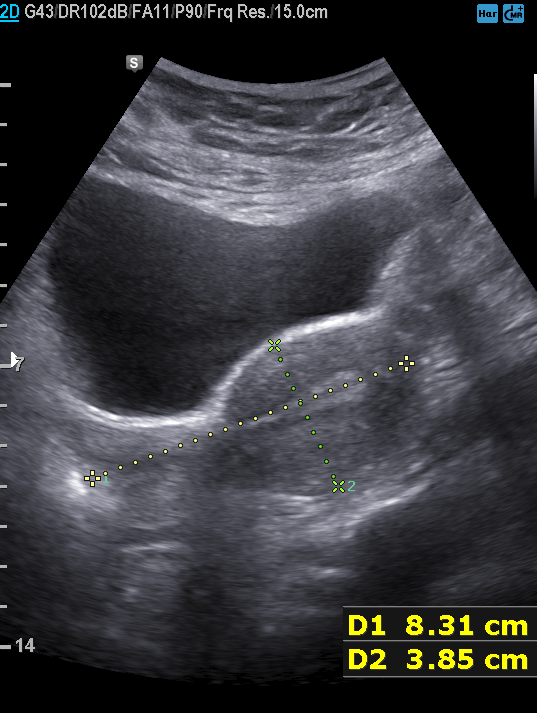
| field | value |
|---|---|
| modality | genitourinary ultrasound |